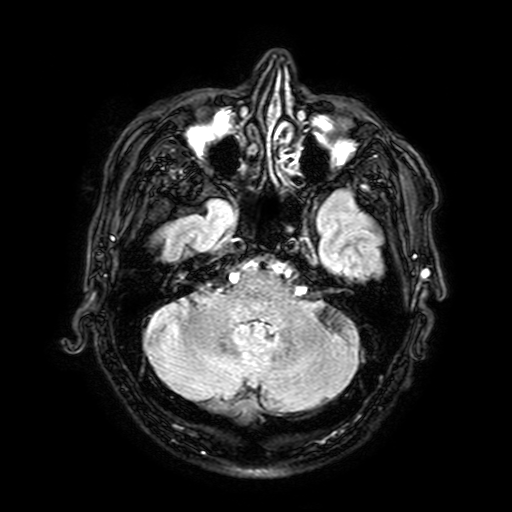
– modality · 3 Tesla brain MRI
– study · ring-enhancing brain masses